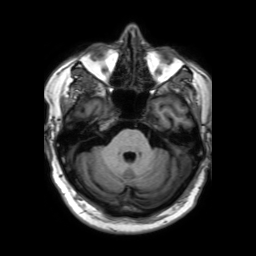
Summary:
3 Tesla brain MRI. Series: 3D T1-weighted TFE with SENSE. Study: ring-enhancing brain masses.